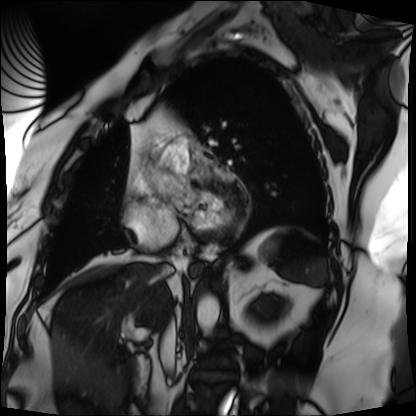
Cardiac MRI.
Subject group: patient.